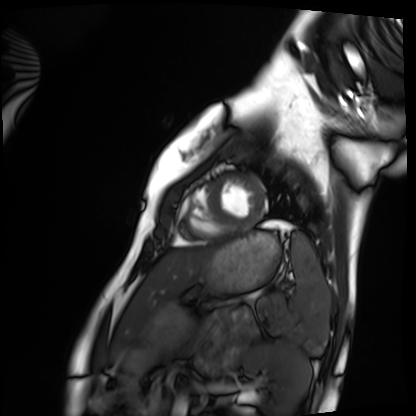
Cardiac MRI.
Subject group: healthy volunteer.